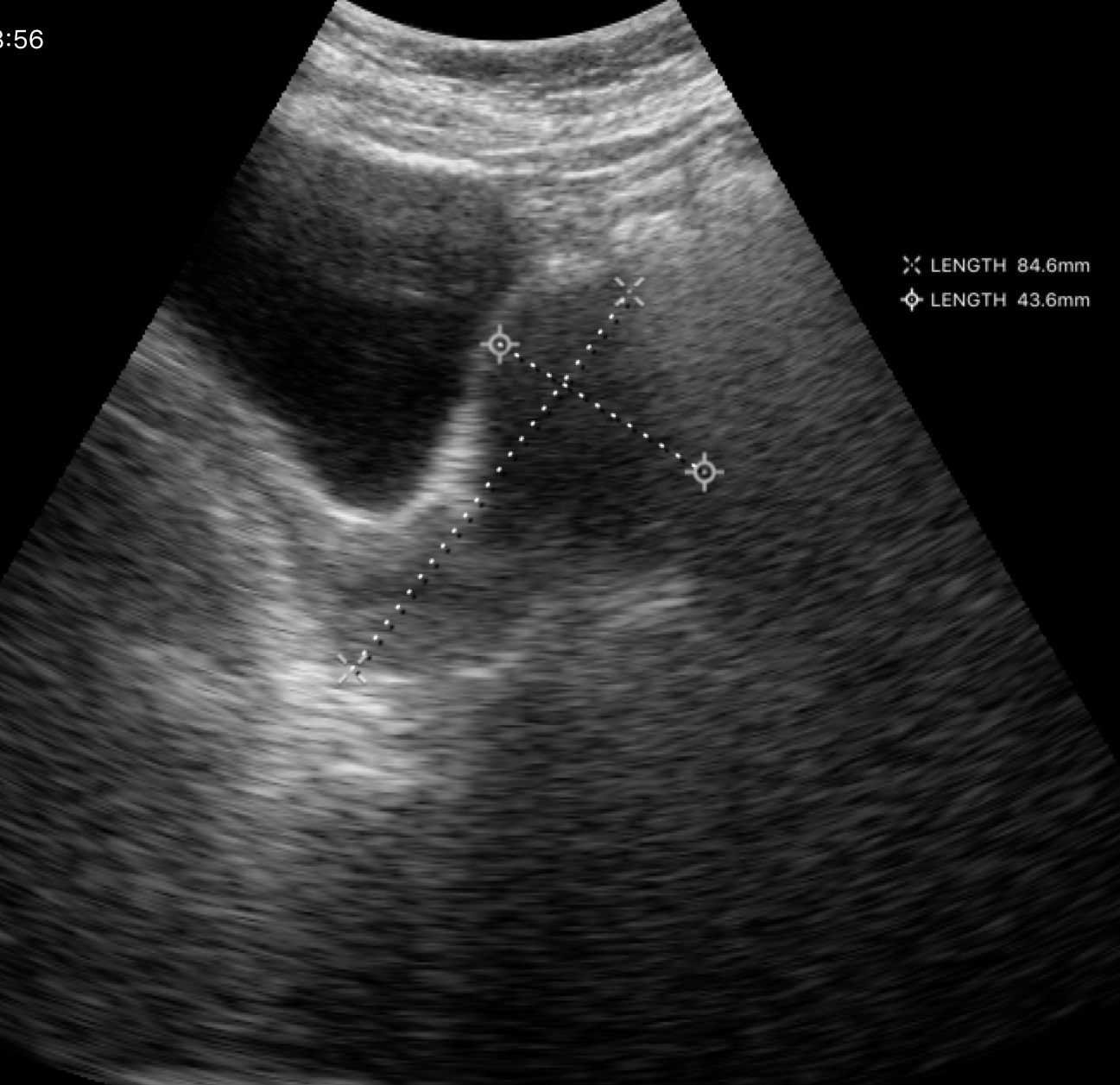
modality: genitourinary ultrasound.